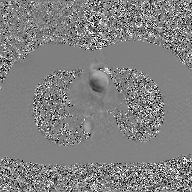
Clinical context: 2D phase-contrast cine MRI of the ascending aorta, GAN super-resolution reconstruction.